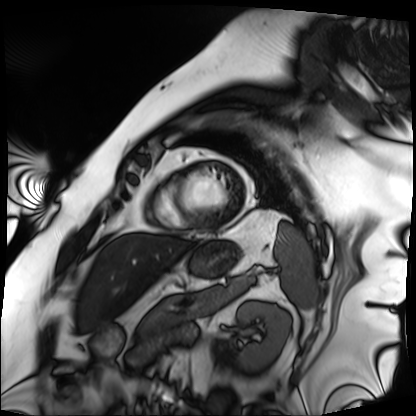
Summary: Cardiac MRI. Subject group: patient.